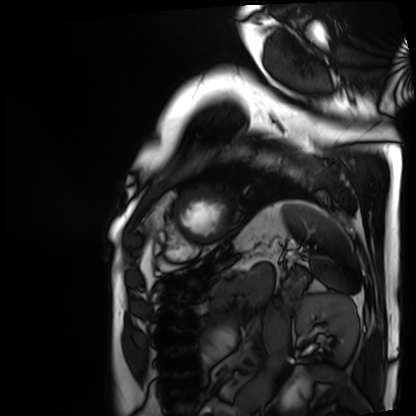
Q: What kind of scan is this?
A: Cardiac MRI.
Subject group: patient.